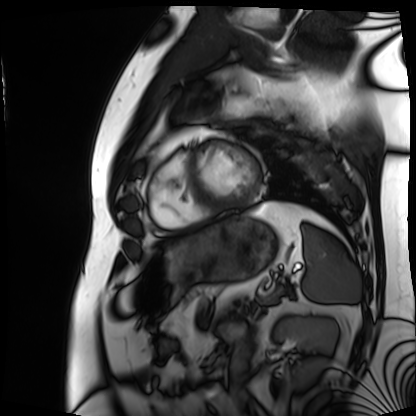
modality — cardiac MRI
subject group — patient